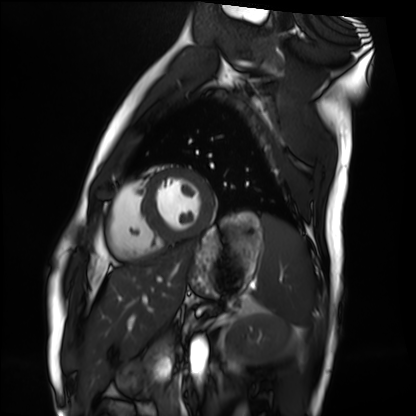
modality: cardiac MRI
cohort: healthy volunteer